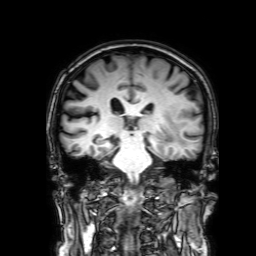
modality — 3 Tesla brain MRI
series — 3D T1-weighted with SENSE
study — ring-enhancing brain masses